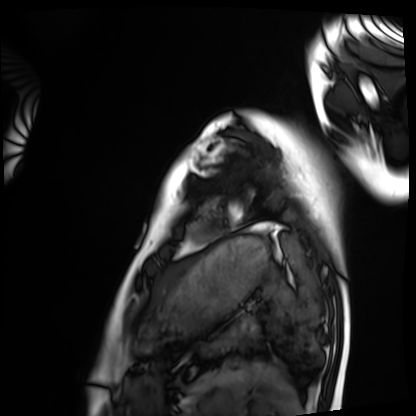
{
  "modality": "cardiac MRI",
  "cohort": "healthy volunteer"
}